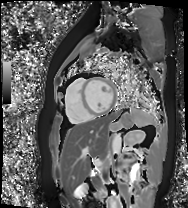
modality: cardiac MR image of the myocardium | subject cohort: healthy volunteer.